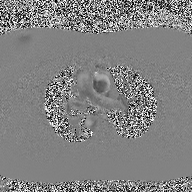
Q: What kind of scan is this?
A: 2D phase-contrast cine MRI of the ascending aorta.